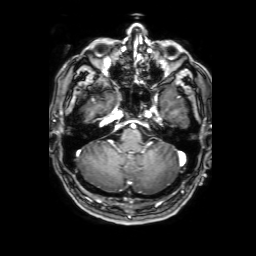
3 Tesla brain MRI. Series: 3D T1-weighted with SENSE. Study: ring-enhancing brain masses.